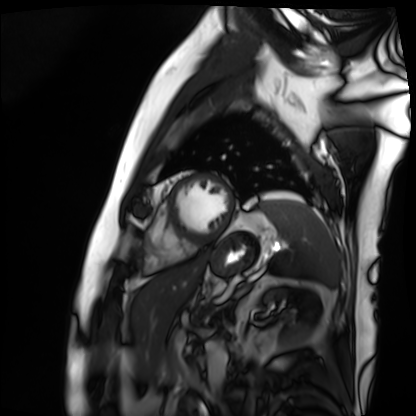
modality=cardiac MRI; subject group=patient.